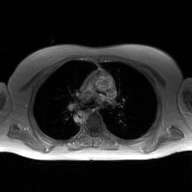
Case summary:
2D phase-contrast cine MRI of the ascending aorta, GAN super-resolution reconstruction.